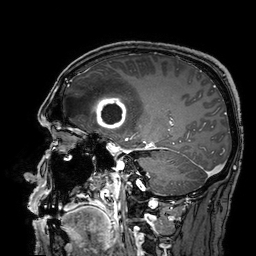
Q: What kind of scan is this?
A: 3 Tesla brain MRI.
Q: Series?
A: 3D T1-weighted turbo field echo with SENSE.
Study: ring-enhancing brain masses.